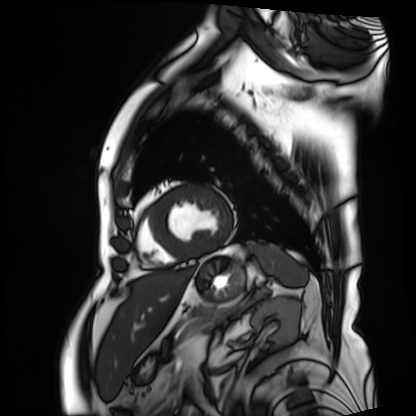
modality = cardiac MRI
subject group = patient